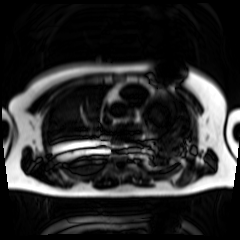
Clinical context: Chemical-shift-encoded cardiac MRI.